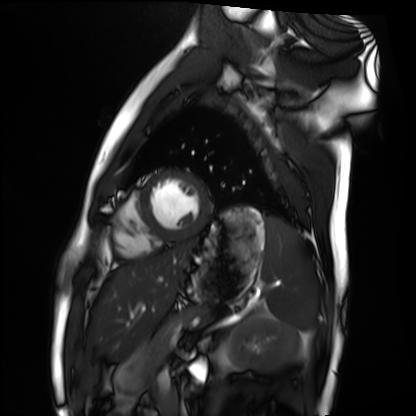
Q: What kind of scan is this?
A: Cardiac MRI.
Subject group: healthy volunteer.